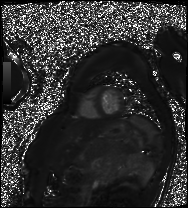
Case summary:
Cardiac MRI. Subject group: patient.